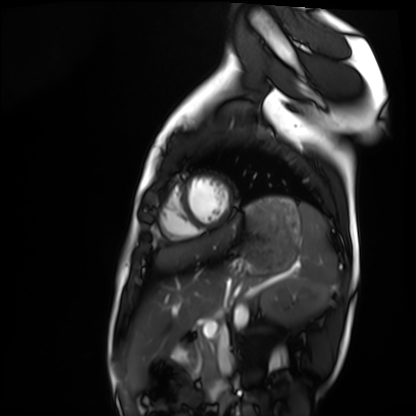
modality: cardiac MRI; subject group: healthy volunteer.